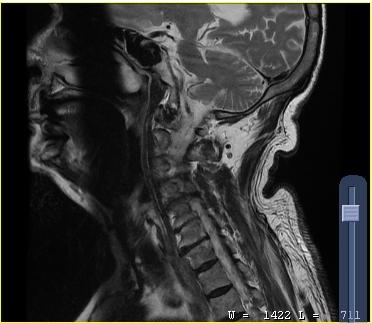
{
  "modality": {
    "type": "cervical spine MRI"
  },
  "study_topic": "cervical spondylosis"
}